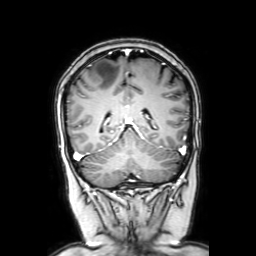
{
  "modality": {
    "type": "brain MRI",
    "field_strength": "3T"
  },
  "series": "coronal with contrast",
  "study_topic": "ring-enhancing brain masses"
}